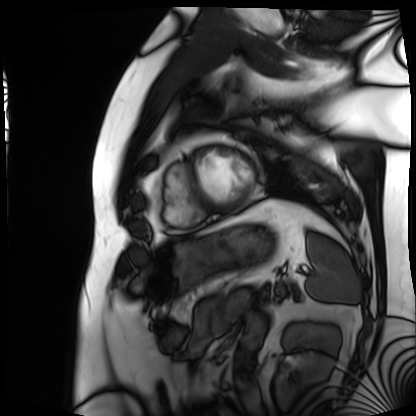
modality = cardiac MRI; subject group = patient.